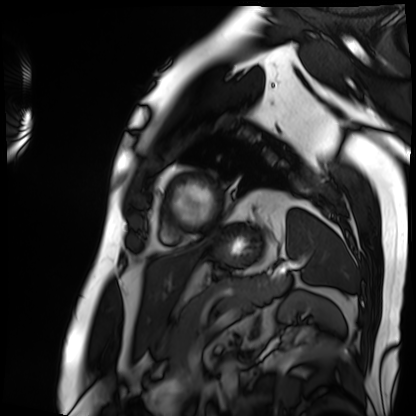
modality = cardiac MRI | subject group = patient.